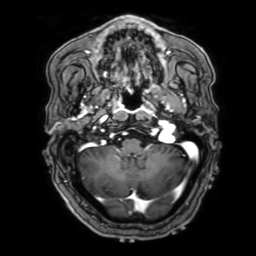
• modality — 3 Tesla brain MRI
• series — 3D T1-weighted with SENSE
• study — ring-enhancing brain masses